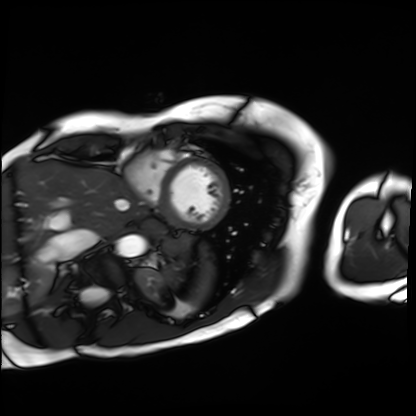
Case summary: Cardiac MRI. Subject group: patient.